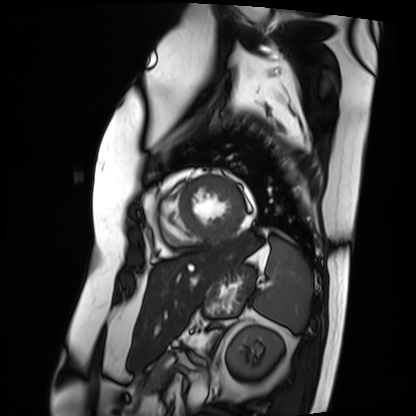
Case summary: Cardiac MRI. Subject group: patient.